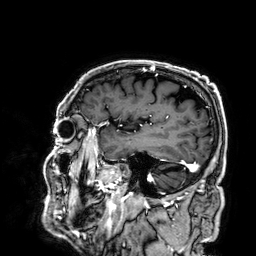
Summary:
3 Tesla brain MRI. Series: 3D T1-weighted. Study: ring-enhancing brain masses.